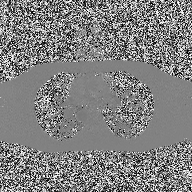
Summary:
2D phase-contrast cine MRI of the ascending aorta, high-resolution GRAPPA acquisition.